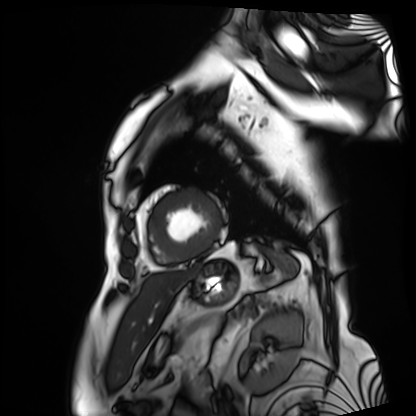
Cardiac MRI.
Subject group: patient.